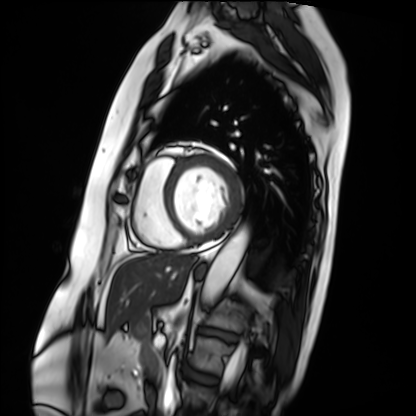
Cardiac MRI. Subject group: patient.